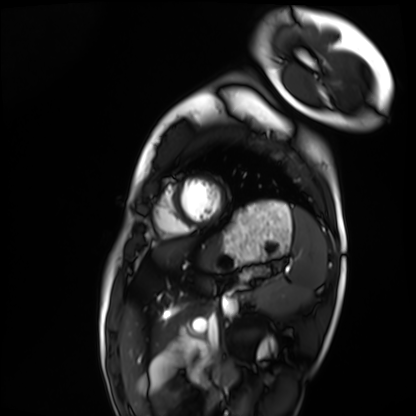
Clinical context:
Cardiac MRI. Subject group: healthy volunteer.